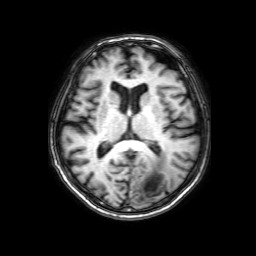
Summary: 3 Tesla brain MRI. Series: 3D T1-weighted with SENSE. Study: ring-enhancing brain masses.